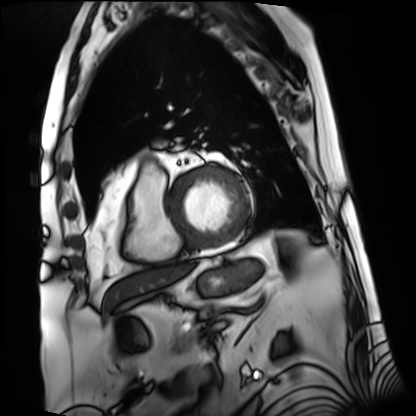
Cardiac MRI. Subject group: patient.